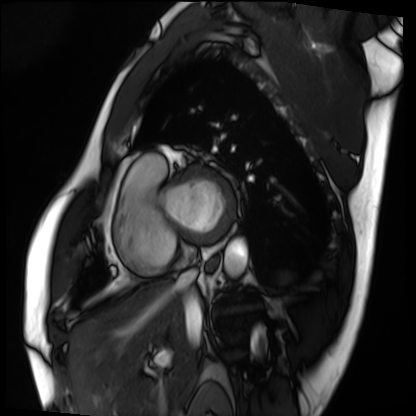
Cardiac MRI. Subject group: patient.